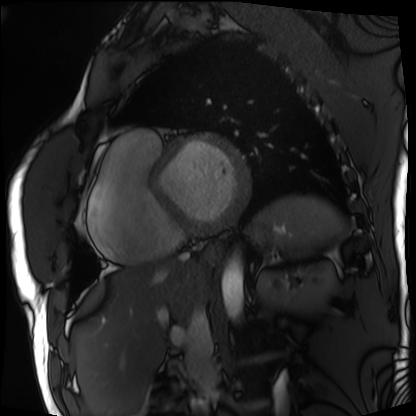
modality = cardiac MRI
subject group = patient